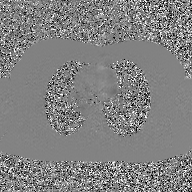
{
  "modality": {
    "type": "2D phase-contrast cine MRI",
    "region": "ascending aorta",
    "reconstruction": "GAN super-resolution reconstruction"
  }
}